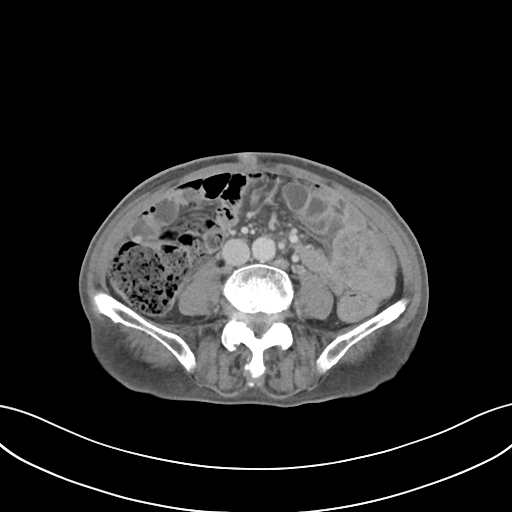
modality=multiphase abdominal CT, liver, delayed phase
patient=male, age 75
history=prior chemotherapy